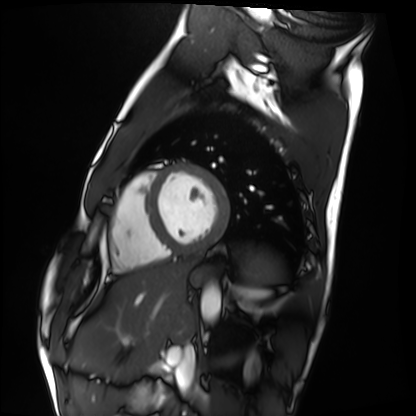
Summary:
Cardiac MRI. Subject group: healthy volunteer.